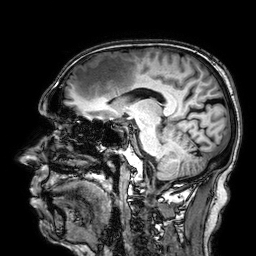
3 Tesla brain MRI. Series: 3D T1-weighted. Study: ring-enhancing brain masses.